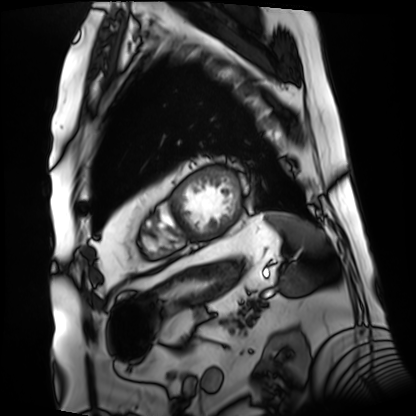
Cardiac MRI.
Subject group: patient.